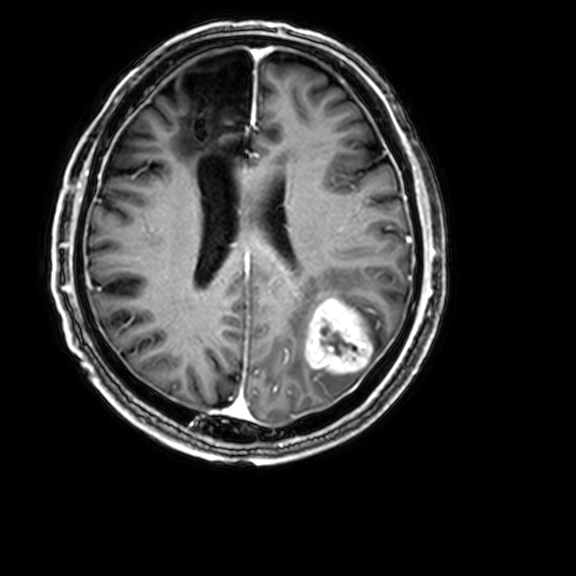
• modality — 3 Tesla brain MRI
• series — 3D T1-weighted with CLEAR
• study — ring-enhancing brain masses